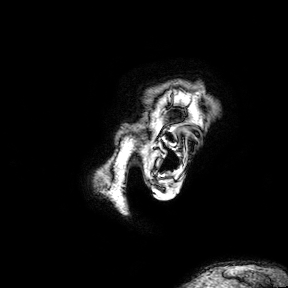
3 Tesla brain MRI.
Series: 3D T1-weighted turbo field echo with SENSE.
Study: ring-enhancing brain masses.